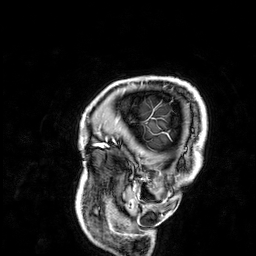
Summary:
3 Tesla brain MRI. Series: 3D T1-weighted. Study: ring-enhancing brain masses.